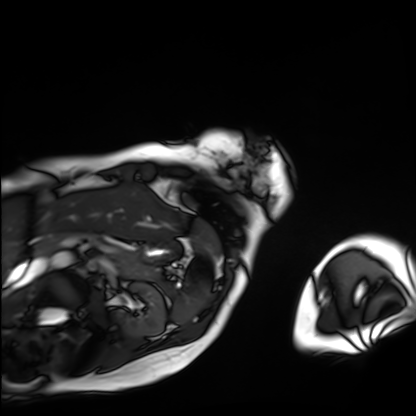
modality: cardiac MRI; subject group: patient.